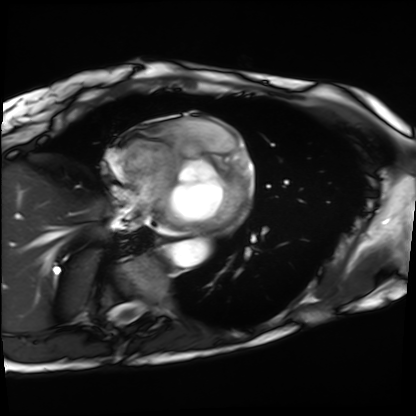
| field | value |
|---|---|
| modality | cardiac MRI |
| subject group | patient |